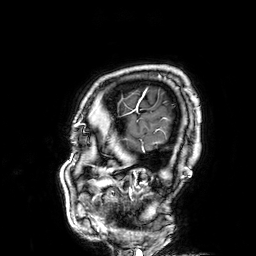
3 Tesla brain MRI.
Series: 3D T1-weighted.
Study: ring-enhancing brain masses.